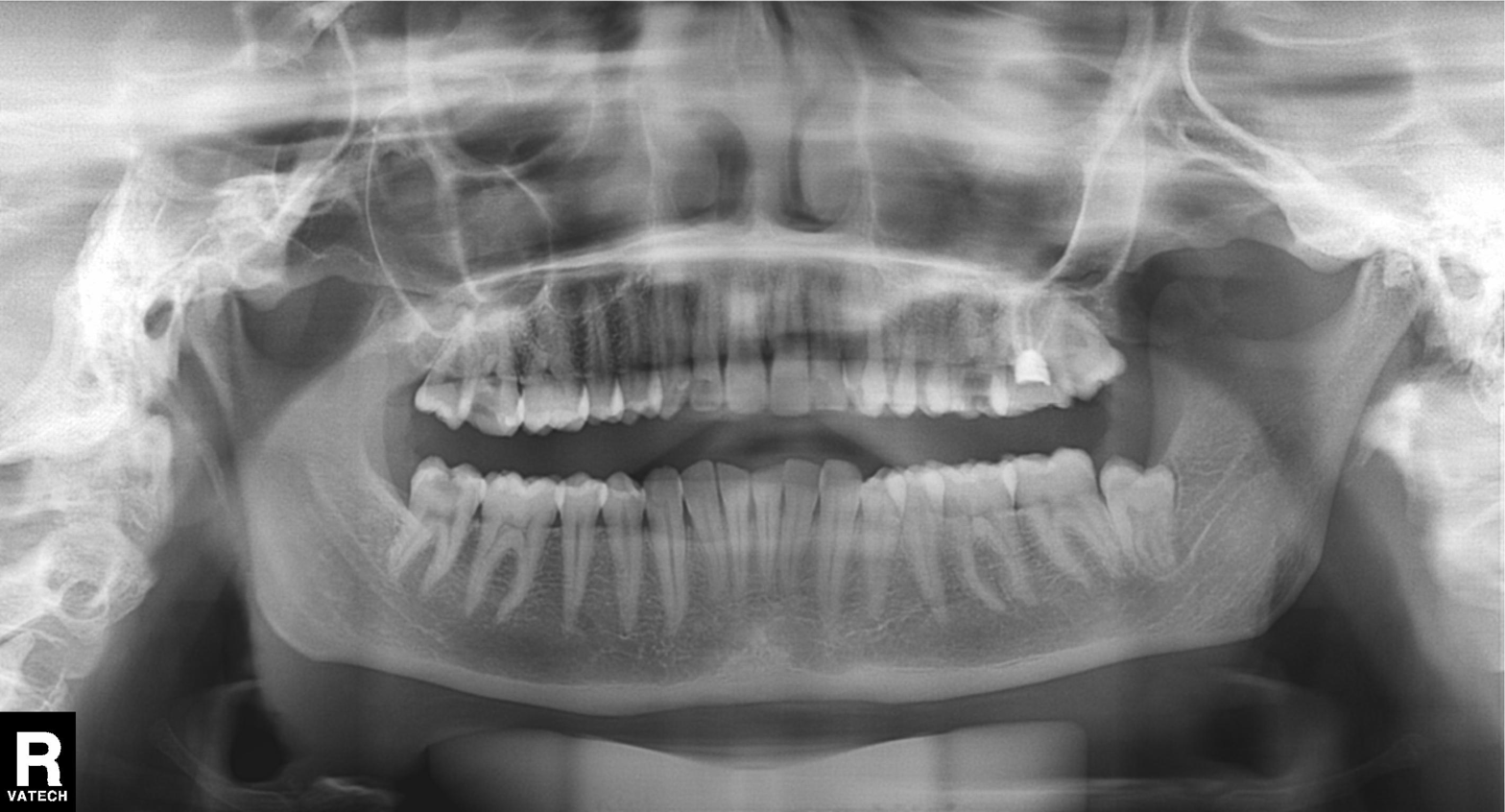
– modality: panoramic dental radiograph (orthopantomogram)
– finding: dental caries (cavities)